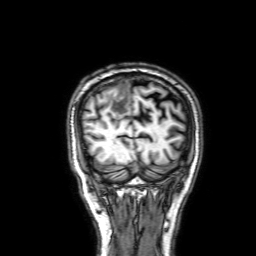
Q: What kind of scan is this?
A: 3 Tesla brain MRI.
Q: Series?
A: 3D T1-weighted with SENSE.
Study: ring-enhancing brain masses.